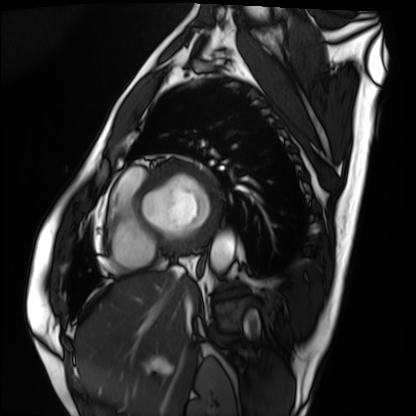
Cardiac MRI. Subject group: patient.